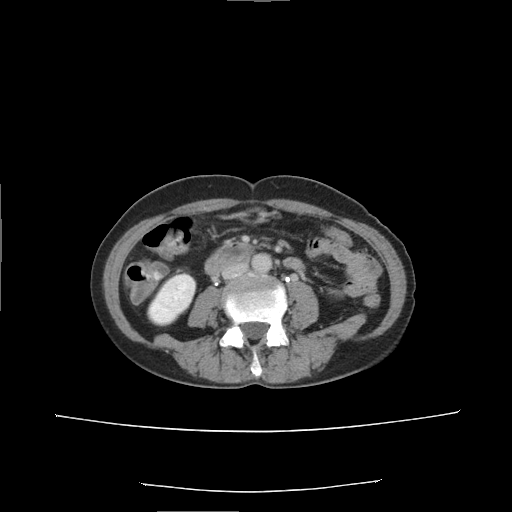
| field | value |
|---|---|
| modality | multiphase abdominal CT, liver, delayed phase |
| patient | female, age 53 |